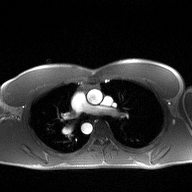
Summary:
2D phase-contrast cine MRI of the ascending aorta, high-resolution GRAPPA acquisition.